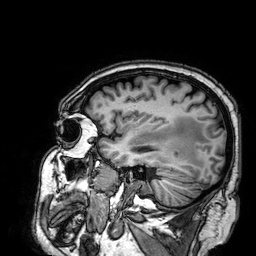
Case:
* modality · 3 Tesla brain MRI
* series · 3D T1-weighted
* study · ring-enhancing brain masses